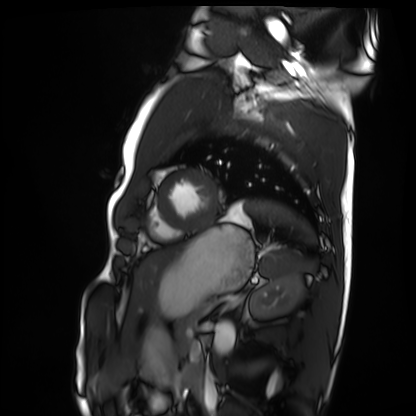
modality = cardiac MRI | subject group = healthy volunteer.